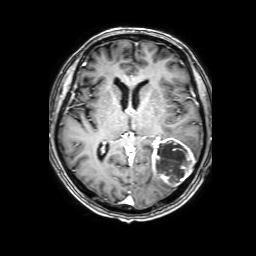
Summary: 3 Tesla brain MRI. Series: 3D T1-weighted with SENSE. Study: ring-enhancing brain masses.